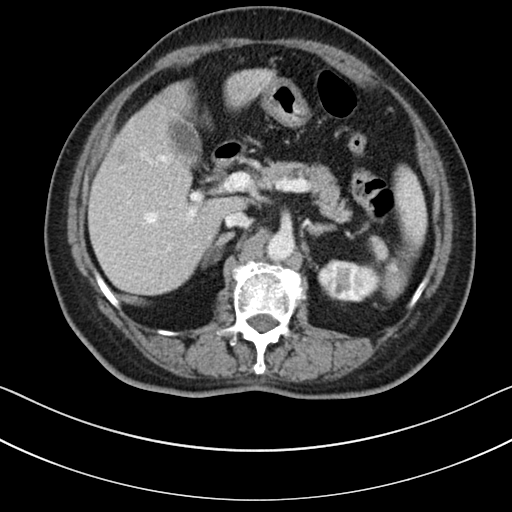
Case summary: Multiphase abdominal CT, liver, portal venous phase. Patient: female, age 76.